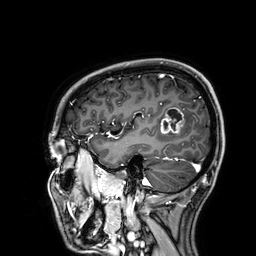
Clinical context: 3 Tesla brain MRI. Series: 3D T1-weighted. Study: ring-enhancing brain masses.